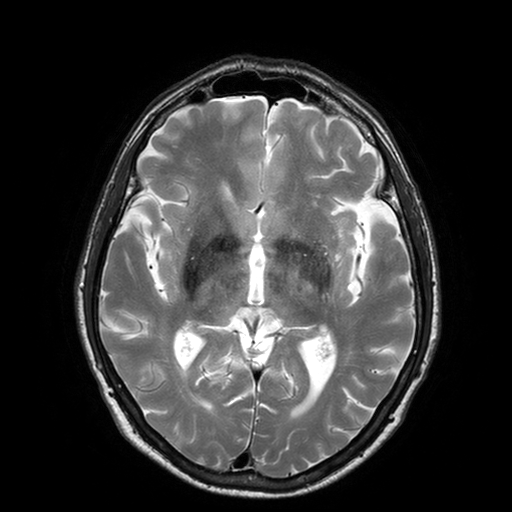
Q: What kind of scan is this?
A: 3 Tesla brain MRI.
Q: Series?
A: T2-weighted turbo spin echo with SENSE.
Study: ring-enhancing brain masses.